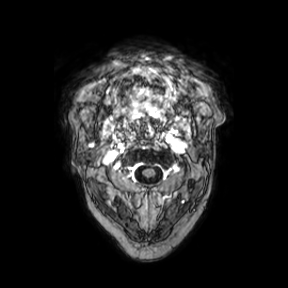
modality:
  type: brain MRI
  field_strength: 3T
study_topic: ring-enhancing brain masses